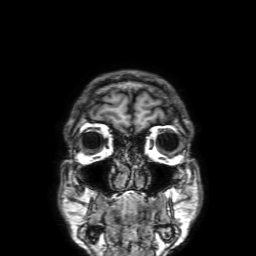
modality: 3 Tesla brain MRI
series: 3D T1-weighted with SENSE
study: ring-enhancing brain masses